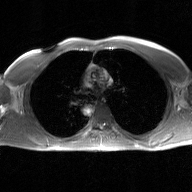
{
  "modality": {
    "type": "2D phase-contrast cine MRI",
    "region": "ascending aorta",
    "reconstruction": "GAN super-resolution reconstruction"
  }
}